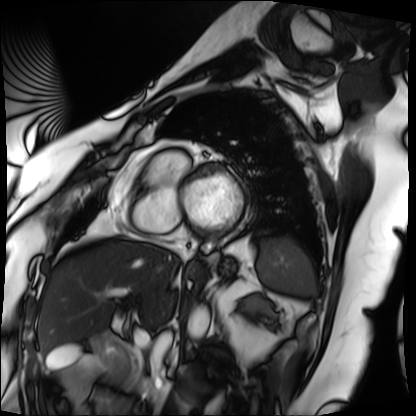
Q: What kind of scan is this?
A: Cardiac MRI.
Subject group: patient.